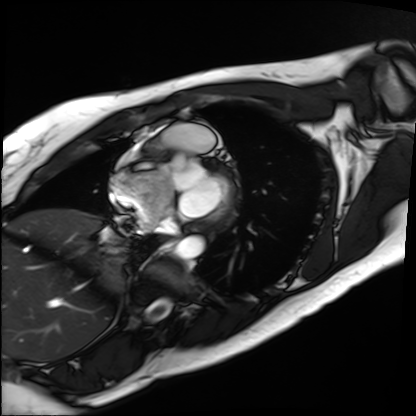
• modality · cardiac MRI
• subject group · patient